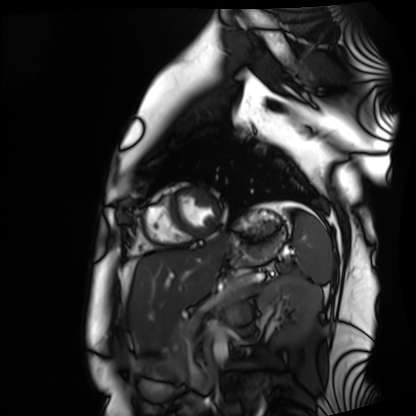
Summary: Cardiac MRI. Subject group: healthy volunteer.